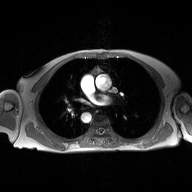
modality: 2D phase-contrast cine MRI of the ascending aorta.